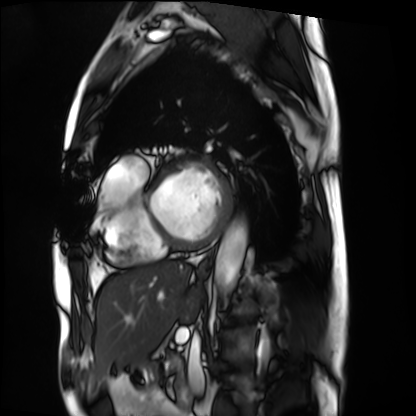
modality=cardiac MRI | subject group=patient.